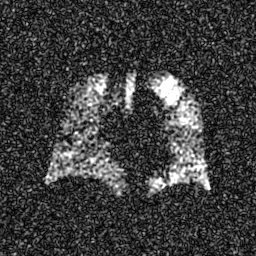
Hyperpolarized 129Xe ventilation MRI of the lungs. SNR level 7 of 8 (the deposit holds this scan as its native image and as seven SNR-degraded versions).